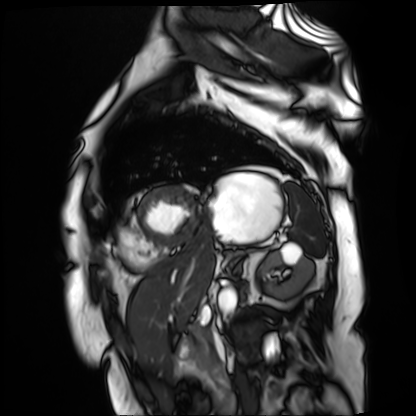
  modality: cardiac MR image of the myocardium
  cohort: cardiac patient